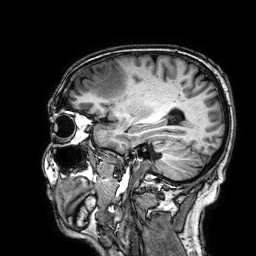
{
  "modality": {
    "type": "brain MRI",
    "field_strength": "3T"
  },
  "study_topic": "ring-enhancing brain masses"
}